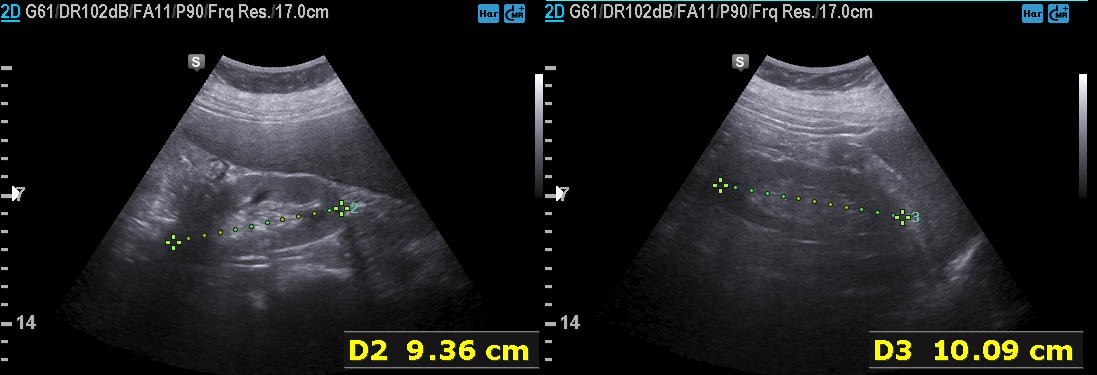
{
  "modality": {
    "type": "genitourinary ultrasound"
  }
}